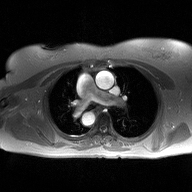
modality: 2D phase-contrast cine MRI of the ascending aorta.